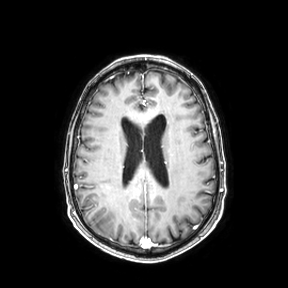
{
  "modality": {
    "type": "brain MRI",
    "field_strength": "3T"
  },
  "series": "axial",
  "study_topic": "ring-enhancing brain masses"
}